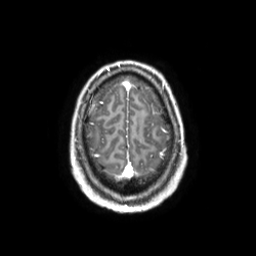
• modality — 3 Tesla brain MRI
• series — 3D T1-weighted TFE with SENSE
• study — ring-enhancing brain masses